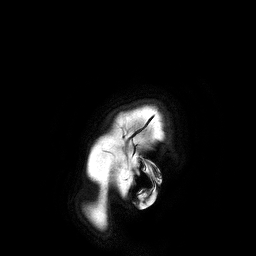
{
  "modality": {
    "type": "brain MRI",
    "field_strength": "3T"
  },
  "series": "3D T1-weighted turbo field echo",
  "study_topic": "ring-enhancing brain masses"
}